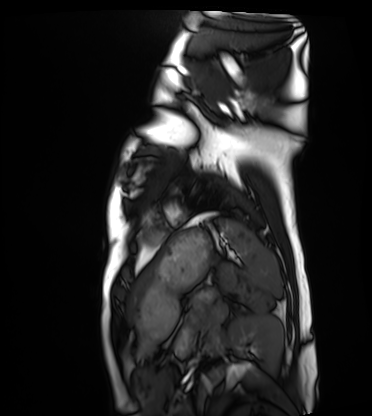
Case summary: Cardiac MRI. Subject group: healthy volunteer.